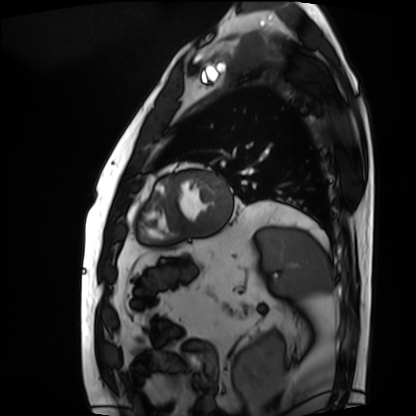
modality = cardiac MRI, subject group = patient.